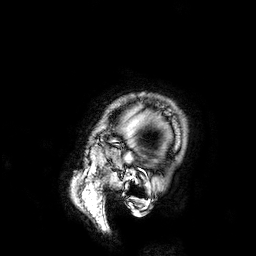
Clinical context:
3 Tesla brain MRI. Series: 3D T1-weighted. Study: ring-enhancing brain masses.